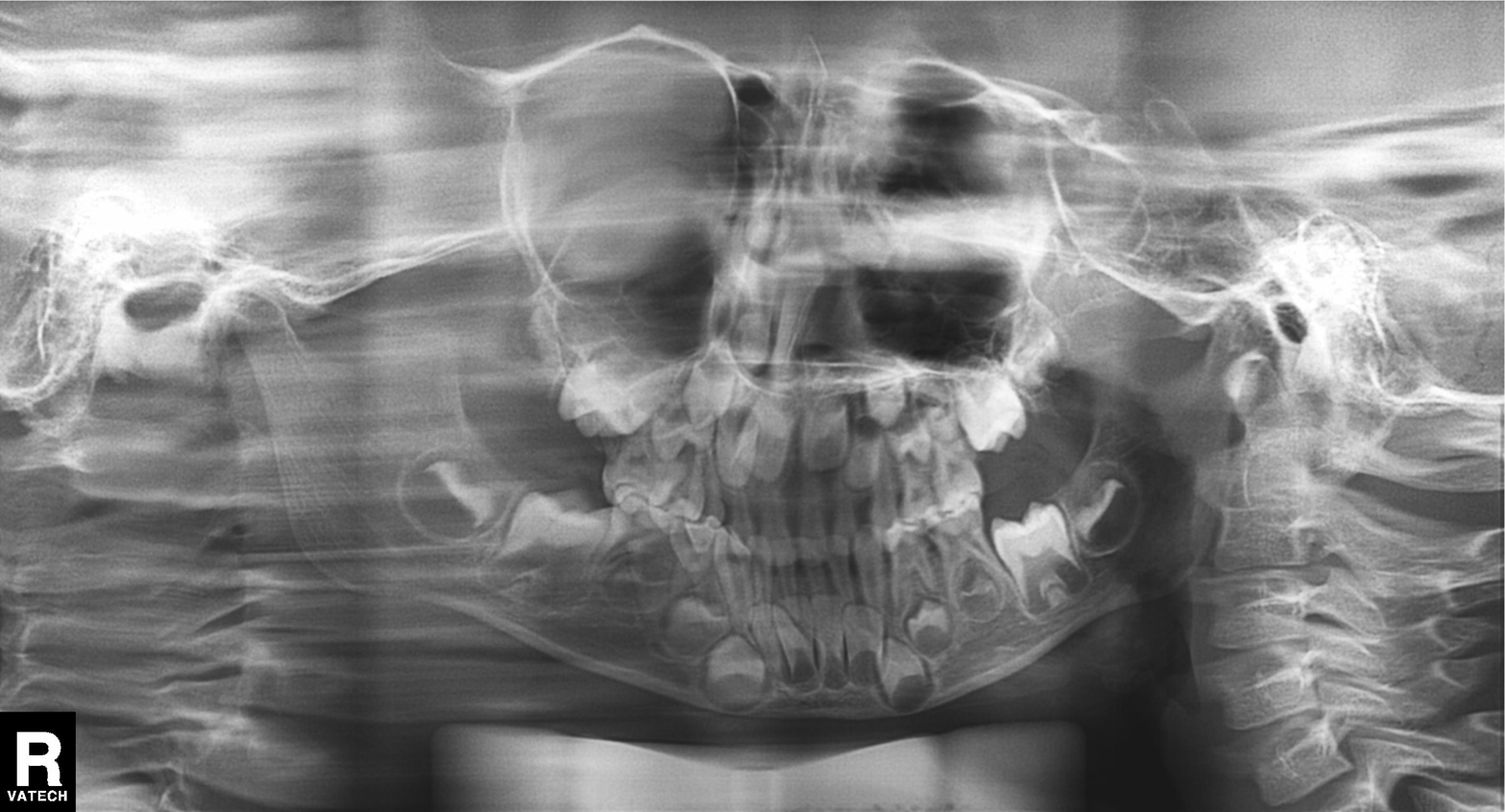
Summary: Panoramic dental radiograph (orthopantomogram).
Diagnosis: Dental caries (cavities).